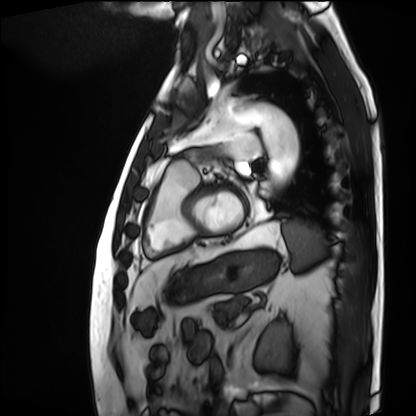
- modality · cardiac MRI
- subject group · patient